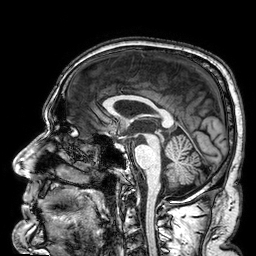
Case summary:
3 Tesla brain MRI. Series: 3D T1-weighted. Study: ring-enhancing brain masses.